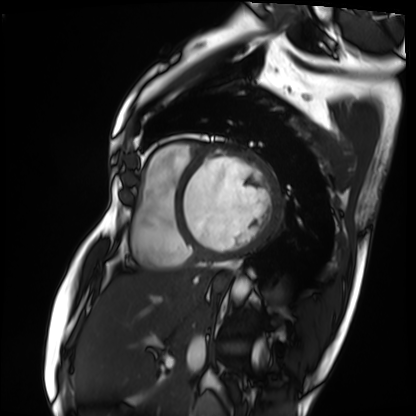
Cardiac MRI. Subject group: patient.